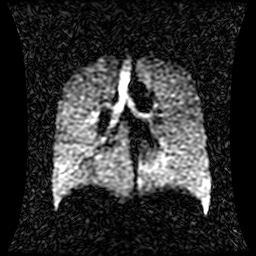
Hyperpolarized 129Xe ventilation MRI of the lungs.
SNR level 1 of 8 (the deposit holds this scan as its native image and as seven SNR-degraded versions).